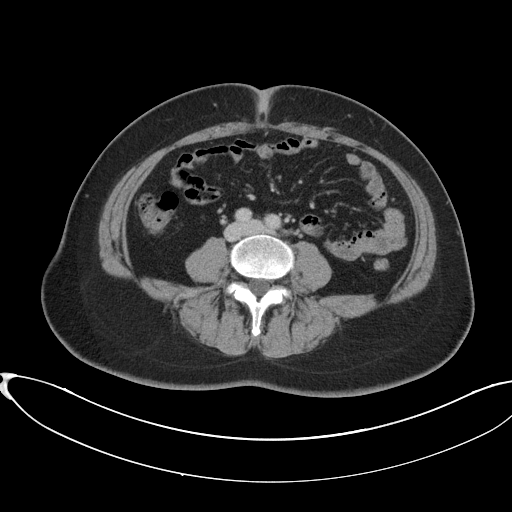
Summary:
Multiphase abdominal CT, liver, portal venous phase. Patient: female, age 45. History: prior chemotherapy.